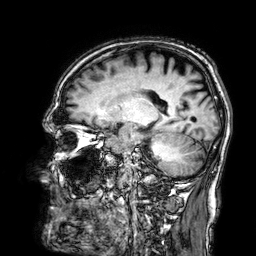
modality = 3 Tesla brain MRI
series = 3D T1-weighted
study = ring-enhancing brain masses